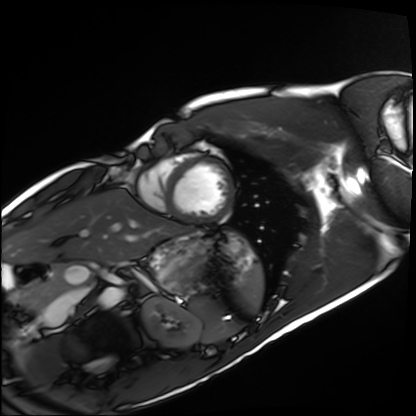
Cardiac MRI.
Subject group: healthy volunteer.